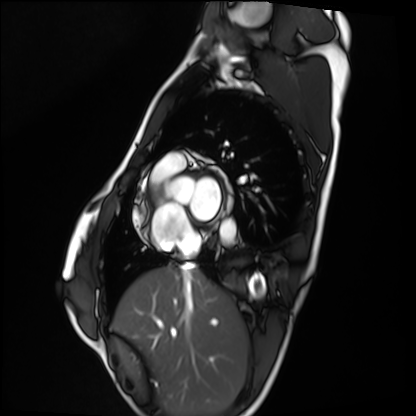
<case>
<modality>cardiac MRI</modality>
<cohort>healthy volunteer</cohort>
</case>